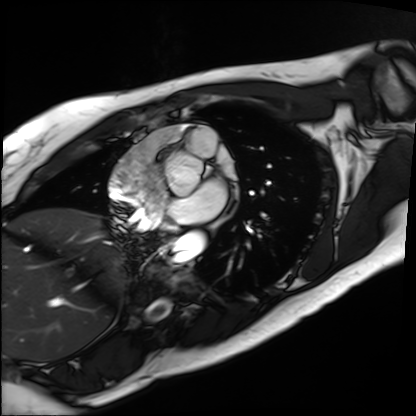
Cardiac MRI. Subject group: patient.